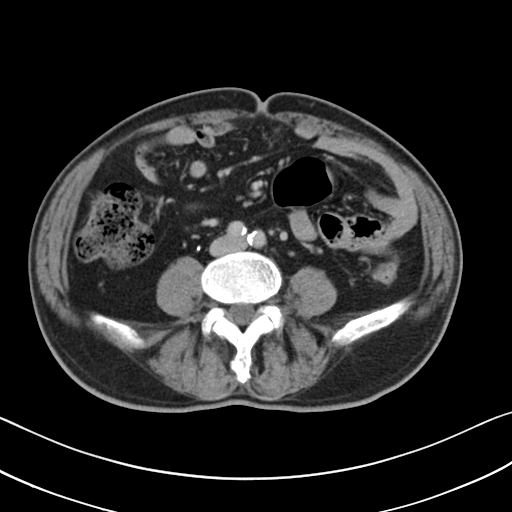
Multiphase abdominal CT, liver, delayed phase.
Patient: male, age 71.